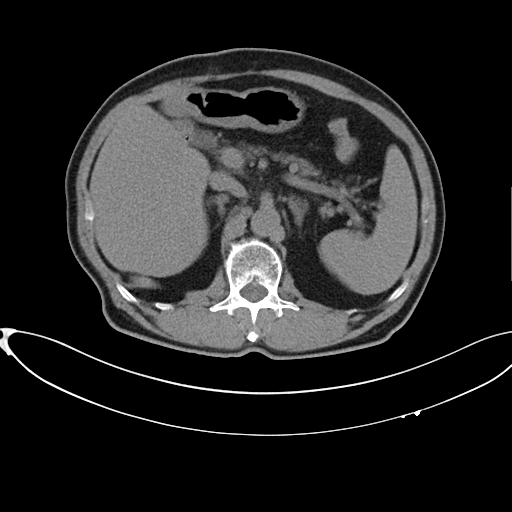
Multiphase abdominal CT, liver, non-contrast phase. Patient: male, age 75. History: cirrhosis, viral hepatitis.